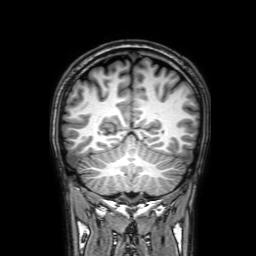
modality: 3 Tesla brain MRI
series: 3D T1-weighted with SENSE
study: ring-enhancing brain masses